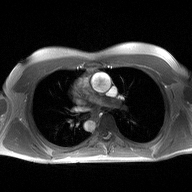
- modality: 2D phase-contrast cine MRI of the ascending aorta